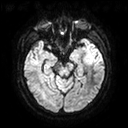
3 Tesla brain MRI. Study: ring-enhancing brain masses.